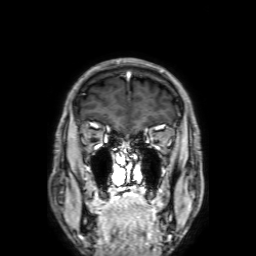
3 Tesla brain MRI. Series: 3D T1-weighted with SENSE. Study: ring-enhancing brain masses.